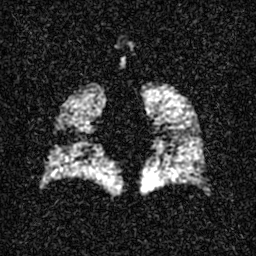
Hyperpolarized 129Xe ventilation MRI of the lungs.
SNR level 3 of 8 (the deposit holds this scan as its native image and as seven SNR-degraded versions).